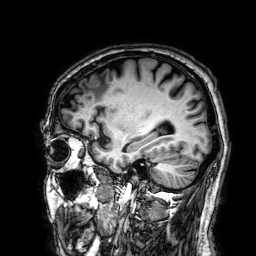
{
  "modality": {
    "type": "brain MRI",
    "field_strength": "3T"
  },
  "series": "3D T1-weighted",
  "study_topic": "ring-enhancing brain masses"
}